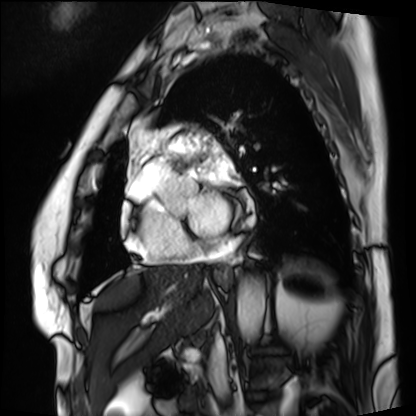
modality — cardiac MRI; subject group — patient.